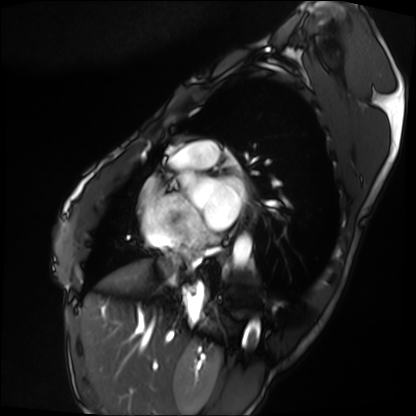
Cardiac MRI. Subject group: patient.